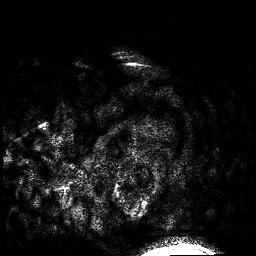
Q: What kind of scan is this?
A: 3 Tesla brain MRI.
Q: Series?
A: 3D T1-weighted.
Study: ring-enhancing brain masses.